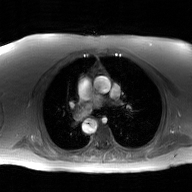
Q: What kind of scan is this?
A: 2D phase-contrast cine MRI of the ascending aorta, GAN super-resolution reconstruction.